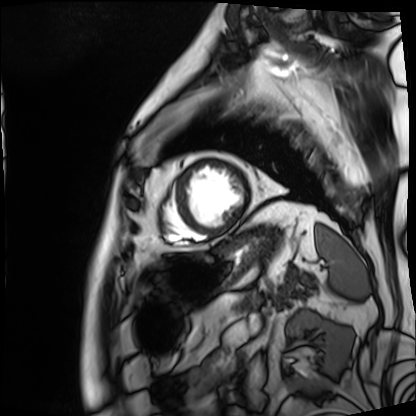
Cardiac MRI. Subject group: patient.